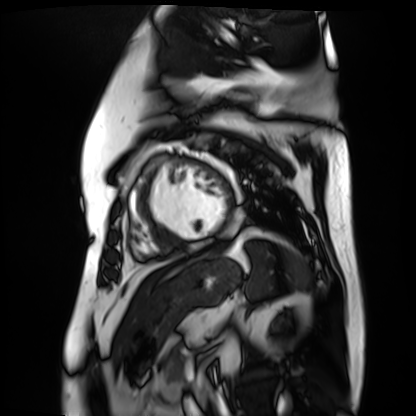
Q: What kind of scan is this?
A: Cardiac MR image of the myocardium.
Subject cohort: cardiac patient.